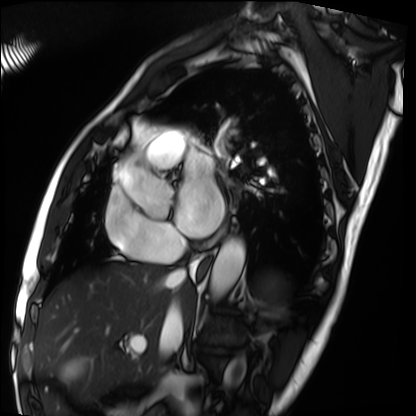
modality = cardiac MRI; subject group = patient.